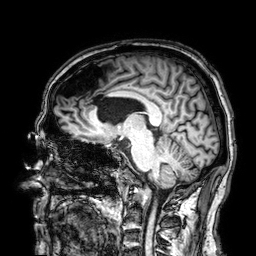
| field | value |
|---|---|
| modality | 3 Tesla brain MRI |
| series | 3D T1-weighted |
| study | ring-enhancing brain masses |